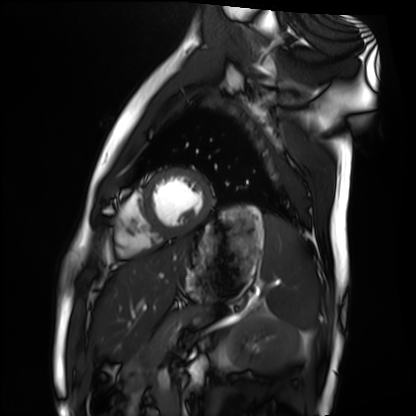
Summary: Cardiac MRI. Subject group: healthy volunteer.